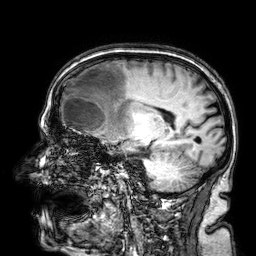
Q: What kind of scan is this?
A: 3 Tesla brain MRI.
Q: Series?
A: 3D T1-weighted.
Study: ring-enhancing brain masses.